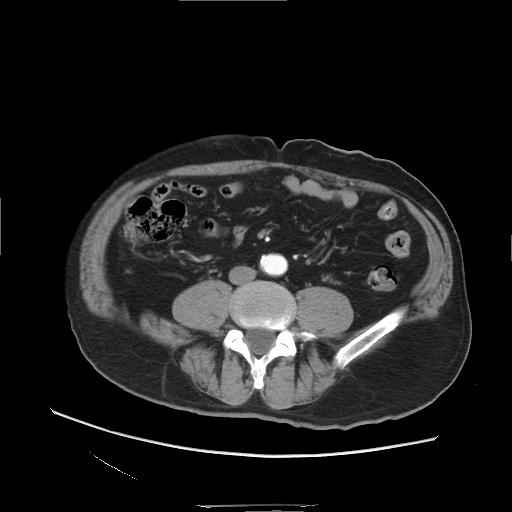
Multiphase abdominal CT, liver, arterial phase. Patient: male, age 61. History: viral hepatitis.